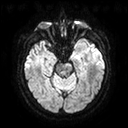
Case summary:
3 Tesla brain MRI. Series: diffusion tensor imaging (medium iso). Study: ring-enhancing brain masses.